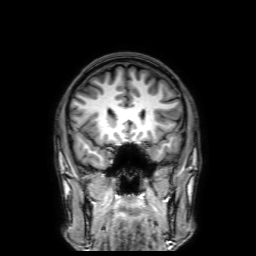
modality = 3 Tesla brain MRI | series = 3D T1-weighted with SENSE | study = ring-enhancing brain masses.